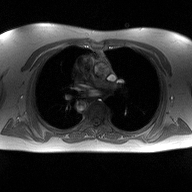
Case summary: 2D phase-contrast cine MRI of the ascending aorta, high-resolution GRAPPA acquisition.